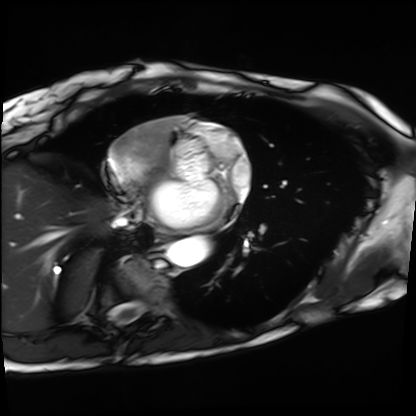
Cardiac MRI. Subject group: patient.